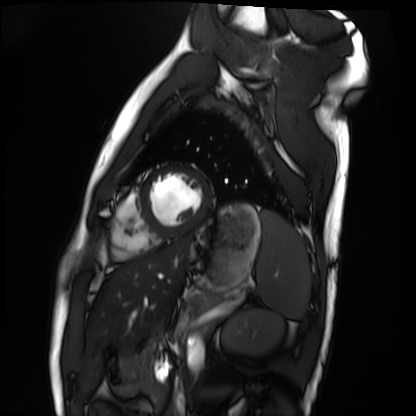
Cardiac MRI.
Subject group: healthy volunteer.